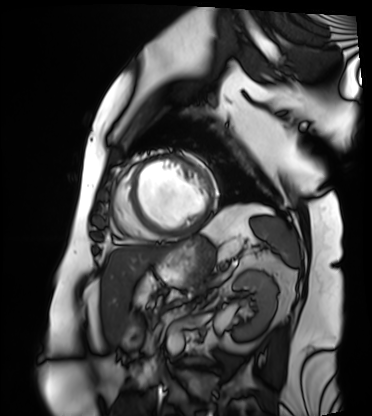
Q: What kind of scan is this?
A: Cardiac MRI.
Subject group: patient.